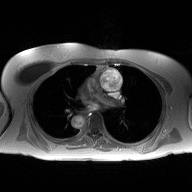
2D phase-contrast cine MRI of the ascending aorta, high-resolution GRAPPA acquisition.